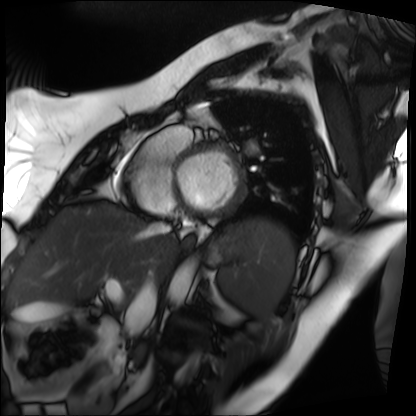
Clinical context: Cardiac MRI. Subject group: patient.